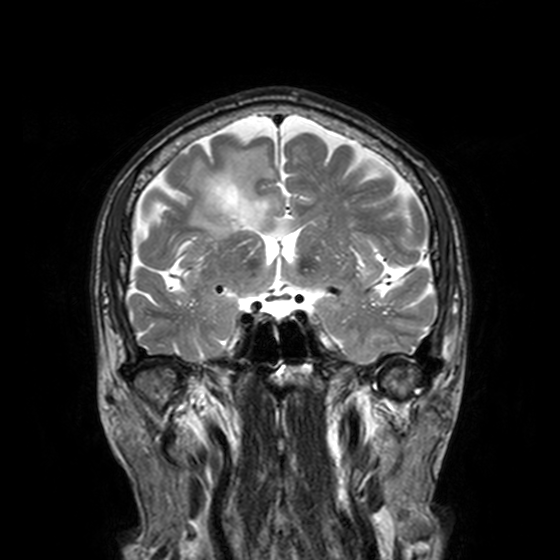
3 Tesla brain MRI. Study: ring-enhancing brain masses.